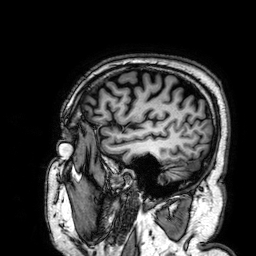
<case>
<modality>
  <type>brain MRI</type>
  <field_strength>3T</field_strength>
</modality>
<series>3D T1-weighted</series>
<study_topic>ring-enhancing brain masses</study_topic>
</case>